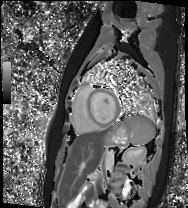
Summary:
Cardiac MR image of the myocardium. Subject cohort: healthy volunteer.